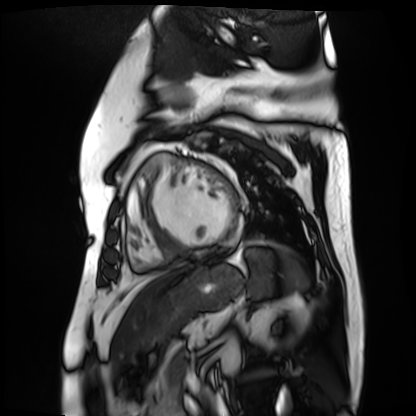
Cardiac MR image of the myocardium.
Subject cohort: cardiac patient.